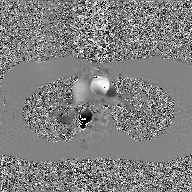
2D phase-contrast cine MRI of the ascending aorta, GAN super-resolution reconstruction.